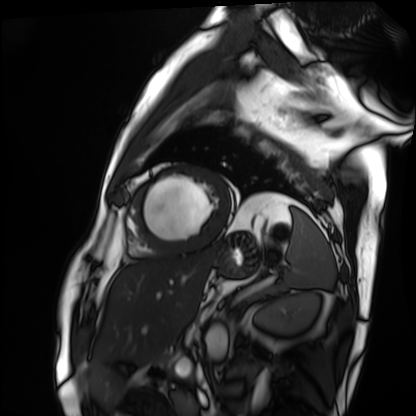
{
  "modality": "cardiac MRI",
  "cohort": "patient"
}